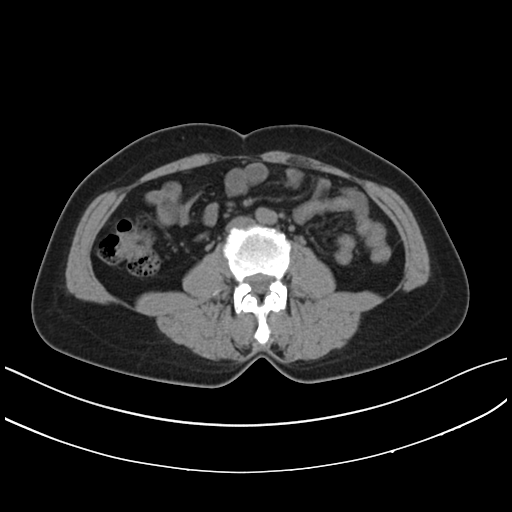
modality: multiphase abdominal CT, liver, non-contrast phase
patient: female, age 43
history: prior chemotherapy